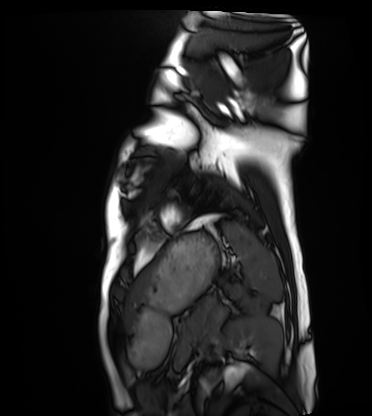
Cardiac MRI. Subject group: healthy volunteer.